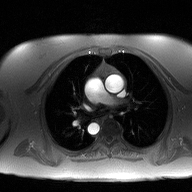
2D phase-contrast cine MRI of the ascending aorta, high-resolution GRAPPA acquisition.